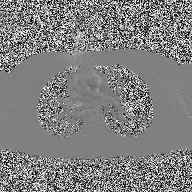
2D phase-contrast cine MRI of the ascending aorta, high-resolution GRAPPA acquisition.